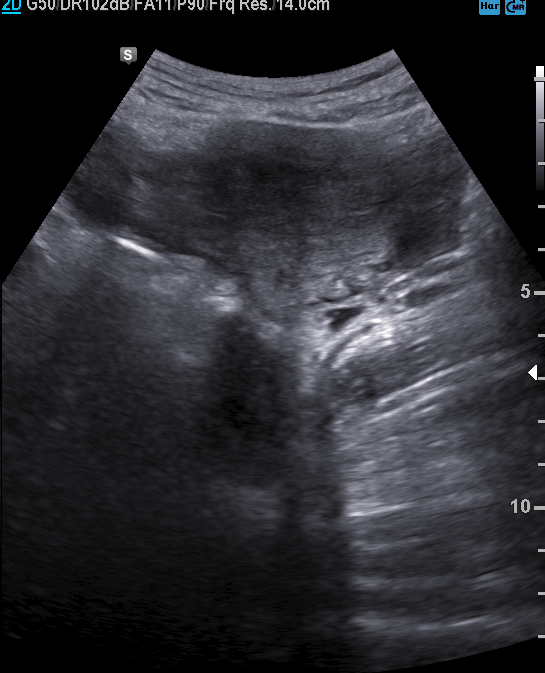
Summary: Genitourinary ultrasound.